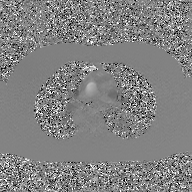
* modality: 2D phase-contrast cine MRI of the ascending aorta, GAN super-resolution reconstruction